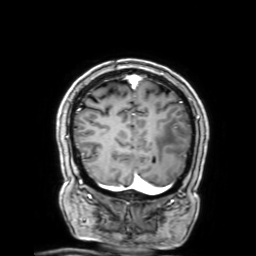
<case>
<modality>
  <type>brain MRI</type>
  <field_strength>3T</field_strength>
</modality>
<series>3D T1-weighted with SENSE</series>
<study_topic>ring-enhancing brain masses</study_topic>
</case>